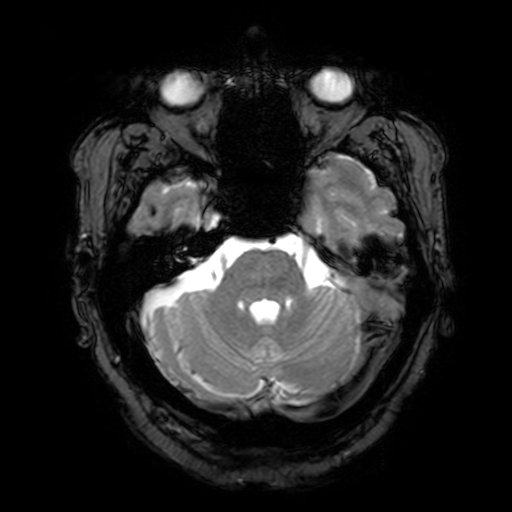
Summary: 3 Tesla brain MRI. Series: T2-weighted fast field echo with SENSE. Study: ring-enhancing brain masses.